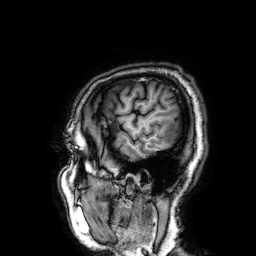
modality: 3 Tesla brain MRI
series: 3D T1-weighted
study: ring-enhancing brain masses